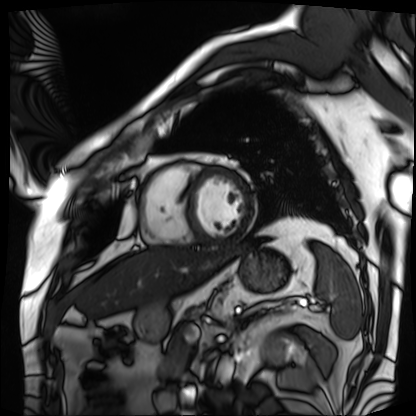
{"modality": "cardiac MRI", "cohort": "patient"}